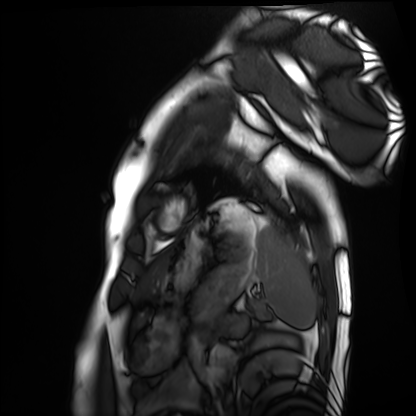
Cardiac MRI. Subject group: healthy volunteer.